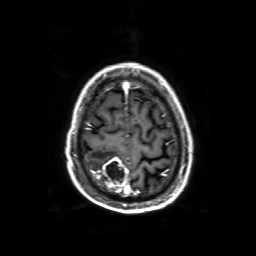
Case summary:
3 Tesla brain MRI. Series: 3D T1-weighted with SENSE. Study: ring-enhancing brain masses.